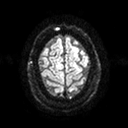
3 Tesla brain MRI.
Series: diffusion tensor imaging (medium iso).
Study: ring-enhancing brain masses.